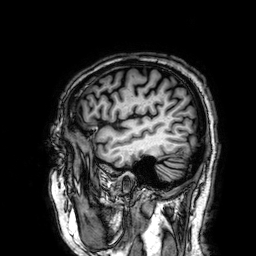
<record>
  <modality>
    <type>brain MRI</type>
    <field_strength>3T</field_strength>
  </modality>
  <series>3D T1-weighted</series>
  <study_topic>ring-enhancing brain masses</study_topic>
</record>